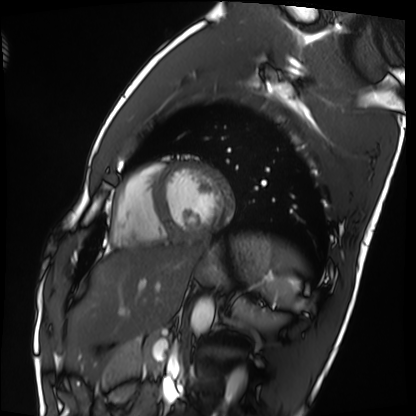
{
  "modality": "cardiac MRI",
  "cohort": "healthy volunteer"
}